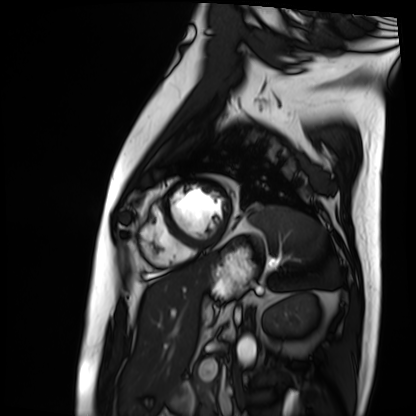
Cardiac MRI.
Subject group: patient.